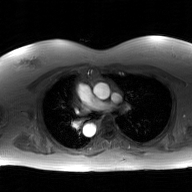
{
  "modality": {
    "type": "2D phase-contrast cine MRI",
    "region": "ascending aorta",
    "reconstruction": "GAN super-resolution reconstruction"
  }
}